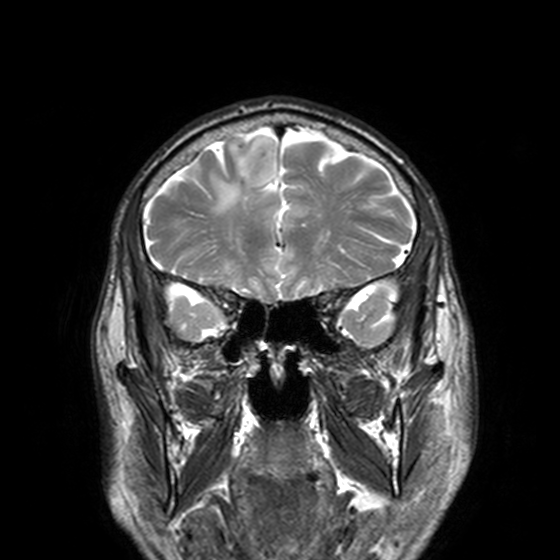
Q: What kind of scan is this?
A: 3 Tesla brain MRI.
Q: Series?
A: T2-weighted turbo spin echo, 3 mm.
Study: ring-enhancing brain masses.